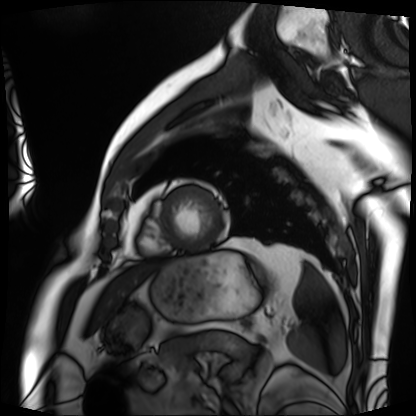
Cardiac MRI. Subject group: patient.